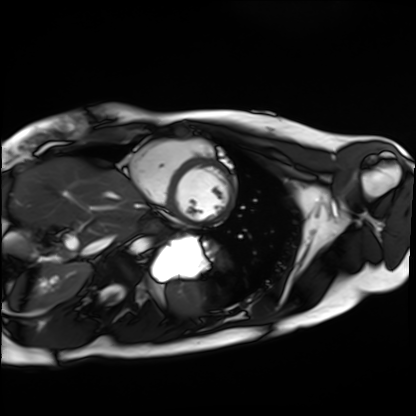
Cardiac MRI. Subject group: healthy volunteer.